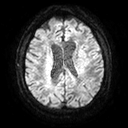
Summary: 3 Tesla brain MRI. Series: diffusion tensor imaging (medium iso). Study: ring-enhancing brain masses.